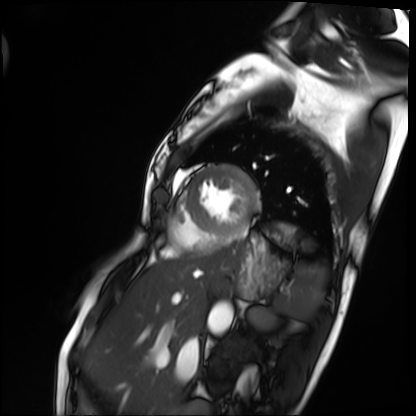
Clinical context:
Cardiac MRI. Subject group: patient.